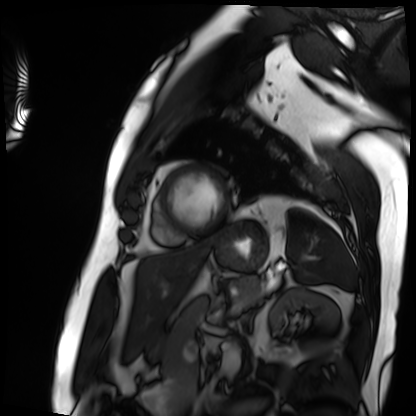
Cardiac MRI.
Subject group: patient.